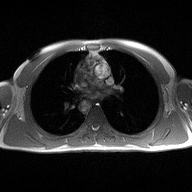
| field | value |
|---|---|
| modality | 2D phase-contrast cine MRI of the ascending aorta |